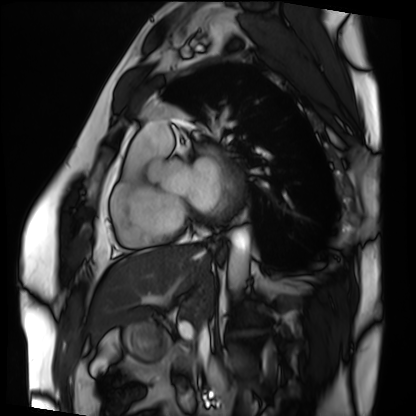
modality — cardiac MRI; subject group — patient.